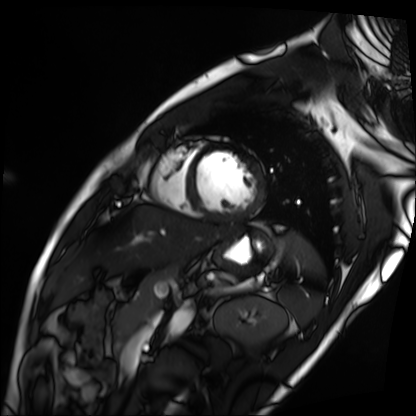
Cardiac MRI.
Subject group: patient.